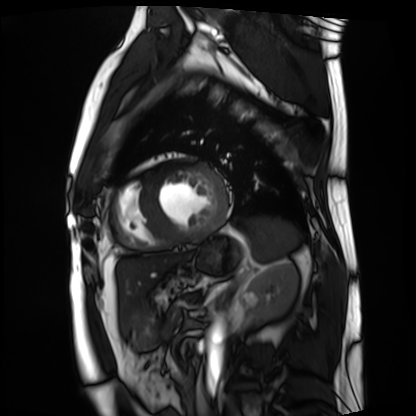
Cardiac MRI. Subject group: patient.